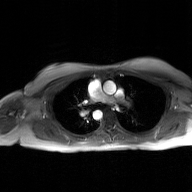
2D phase-contrast cine MRI of the ascending aorta, GAN super-resolution reconstruction.